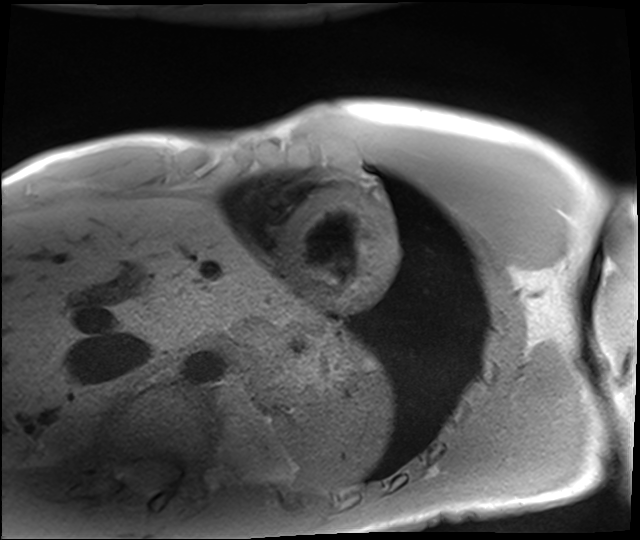
<study>
<modality>cardiac MRI</modality>
<cohort>healthy volunteer</cohort>
</study>